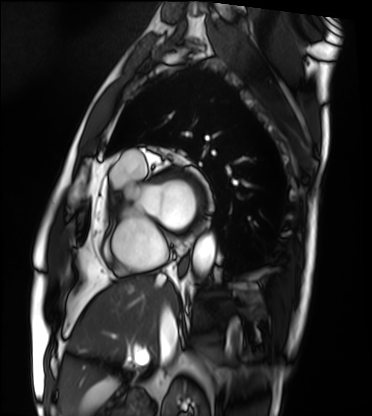
modality = cardiac MRI
subject group = patient